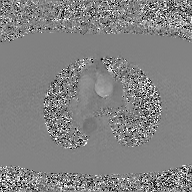
Summary:
2D phase-contrast cine MRI of the ascending aorta, GAN super-resolution reconstruction.